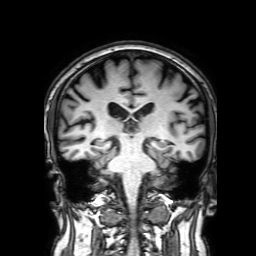
Summary:
3 Tesla brain MRI. Series: 3D T1-weighted with SENSE. Study: ring-enhancing brain masses.